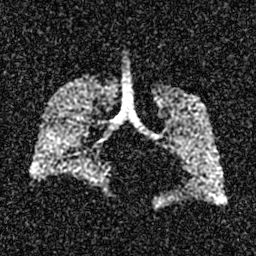
modality: hyperpolarized 129Xe ventilation MRI of the lungs | SNR level: 4 of 8 (the deposit holds this scan as its native image and as seven SNR-degraded versions).